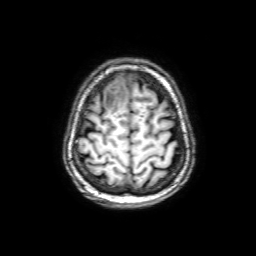
Q: What kind of scan is this?
A: 3 Tesla brain MRI.
Q: Series?
A: 3D T1-weighted with SENSE.
Study: ring-enhancing brain masses.